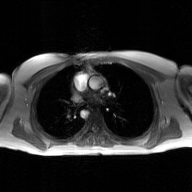
Summary: 2D phase-contrast cine MRI of the ascending aorta, GAN super-resolution reconstruction.